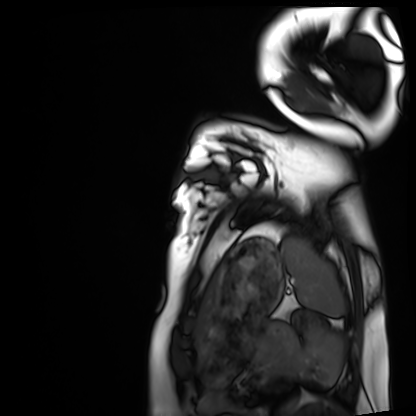
Clinical context:
Cardiac MRI. Subject group: healthy volunteer.